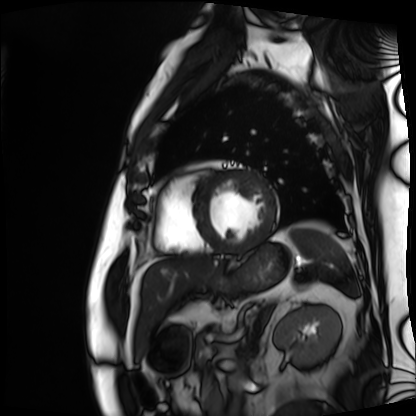
Clinical context:
Cardiac MRI. Subject group: patient.